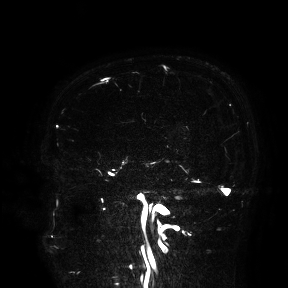
3 Tesla brain MRI.
Study: ring-enhancing brain masses.